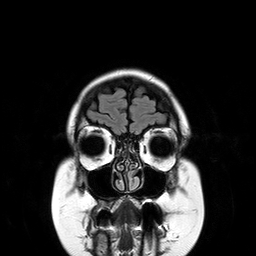
modality: 3 Tesla brain MRI; series: T2-weighted FLAIR; study: ring-enhancing brain masses.